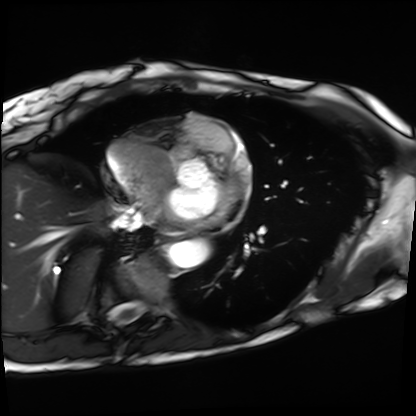
modality = cardiac MRI; subject group = patient.